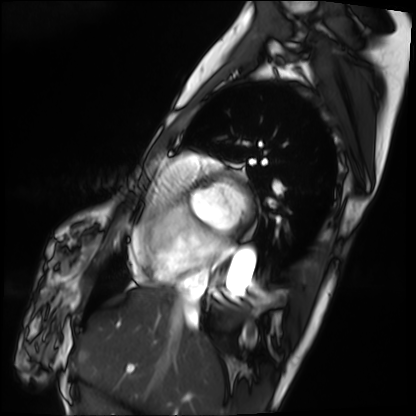
Cardiac MRI. Subject group: patient.